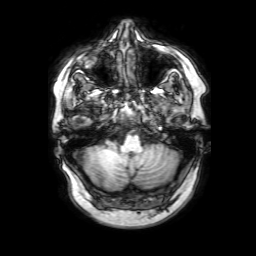
Case:
- modality — 3 Tesla brain MRI
- series — 3D T1-weighted with SENSE
- study — ring-enhancing brain masses